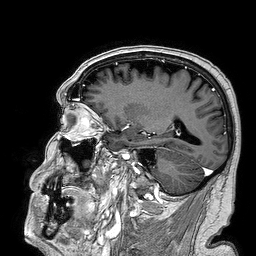
- modality: 3 Tesla brain MRI
- series: 3D T1-weighted turbo field echo
- study: ring-enhancing brain masses